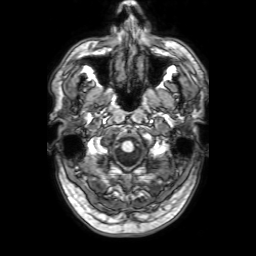
Case summary:
3 Tesla brain MRI. Series: 3D T1-weighted with SENSE. Study: ring-enhancing brain masses.